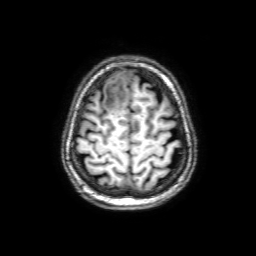
Summary: 3 Tesla brain MRI. Series: 3D T1-weighted with SENSE. Study: ring-enhancing brain masses.